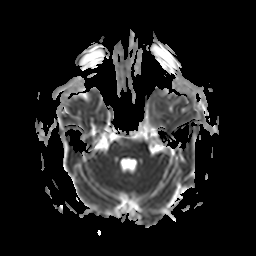
modality = 3 Tesla brain MRI | series = apparent diffusion coefficient (ADC) map | study = ring-enhancing brain masses.